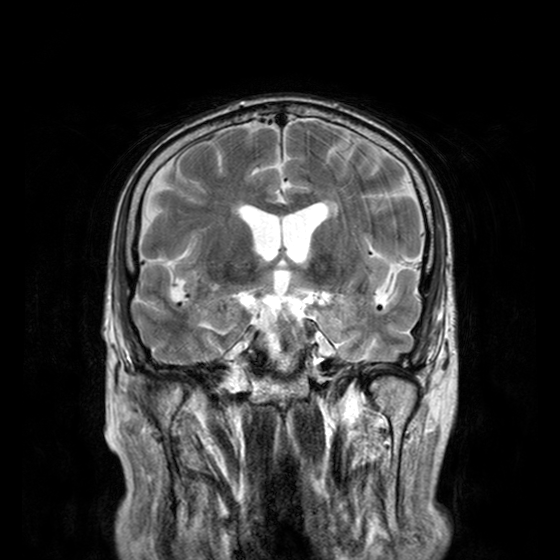
Summary: 3 Tesla brain MRI. Series: T2-weighted turbo spin echo with CLEAR. Study: ring-enhancing brain masses.